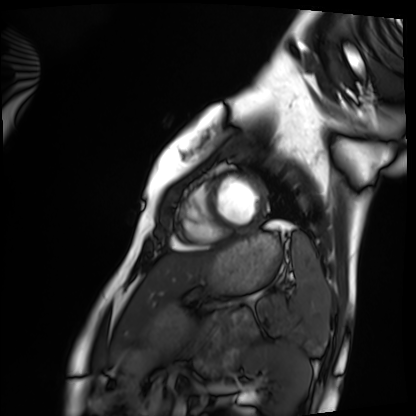
Cardiac MRI. Subject group: healthy volunteer.